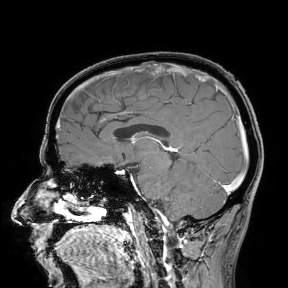
Clinical context:
3 Tesla brain MRI. Study: ring-enhancing brain masses.